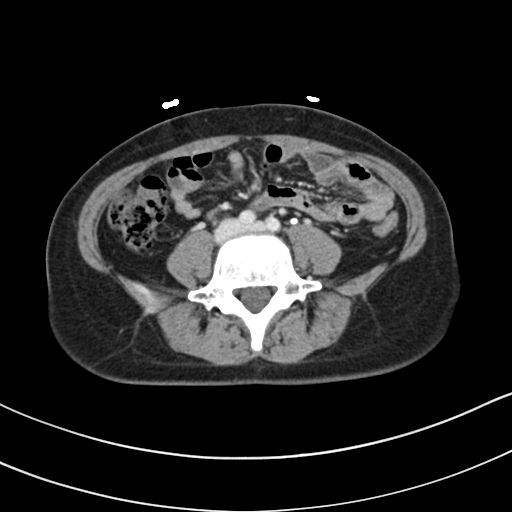
Multiphase abdominal CT, liver, delayed phase. Patient: female, age 33. History: prior chemotherapy.